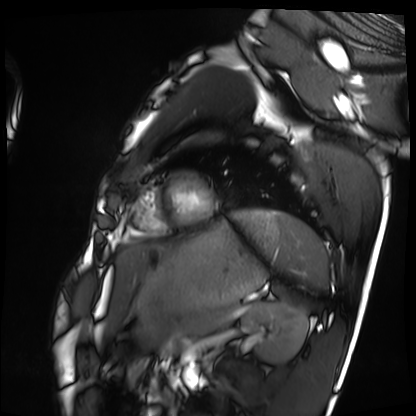
Summary: Cardiac MRI. Subject group: healthy volunteer.